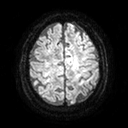
Clinical context: 3 Tesla brain MRI. Series: diffusion tensor imaging (medium iso). Study: ring-enhancing brain masses.